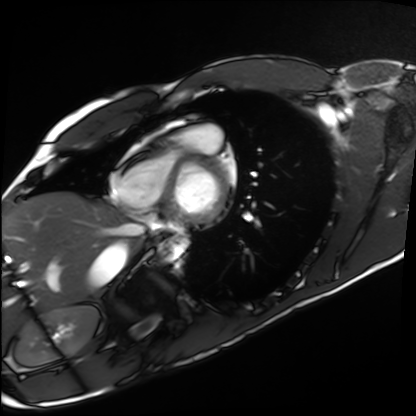
Cardiac MRI.
Subject group: healthy volunteer.